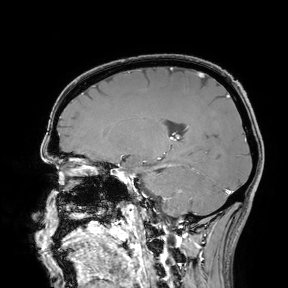
3 Tesla brain MRI. Study: ring-enhancing brain masses.